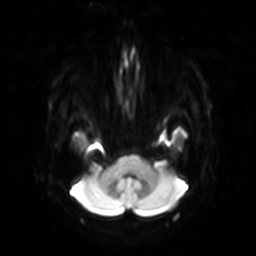
Q: What kind of scan is this?
A: 3 Tesla brain MRI.
Study: ring-enhancing brain masses.